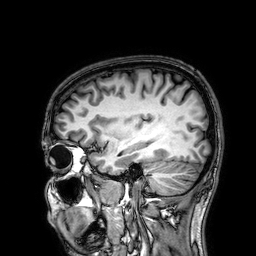
modality = 3 Tesla brain MRI; series = 3D T1-weighted; study = ring-enhancing brain masses.